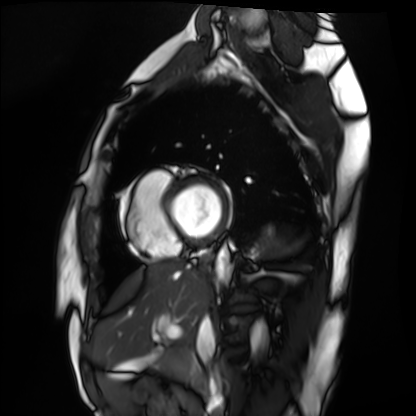
Summary: Cardiac MRI. Subject group: healthy volunteer.